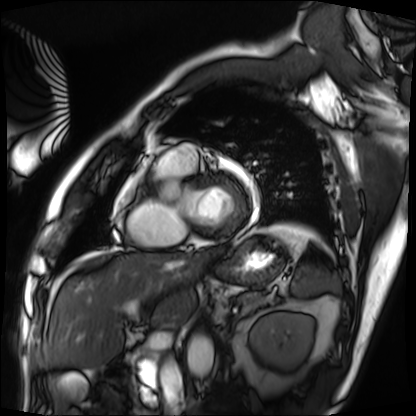
Cardiac MRI.
Subject group: patient.